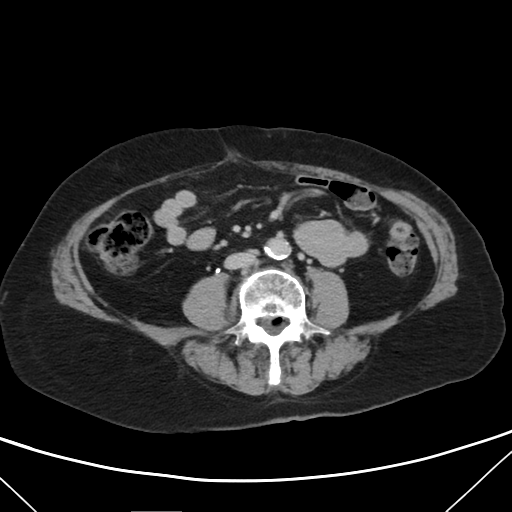
| field | value |
|---|---|
| modality | multiphase abdominal CT, liver, delayed phase |
| patient | female, age 74 |
| history | viral hepatitis |